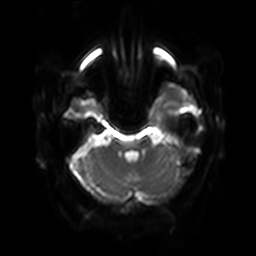
3 Tesla brain MRI. Series: diffusion-weighted imaging with SENSE (WIP). Study: ring-enhancing brain masses.